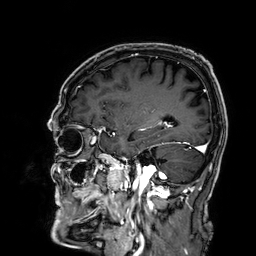
3 Tesla brain MRI.
Series: 3D T1-weighted.
Study: ring-enhancing brain masses.